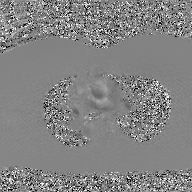
2D phase-contrast cine MRI of the ascending aorta, GAN super-resolution reconstruction.